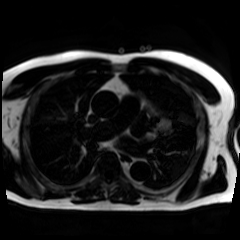
Case summary:
Chemical-shift-encoded cardiac MRI.